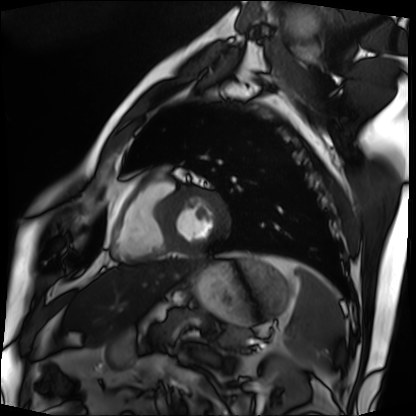
<record>
<modality>cardiac MRI</modality>
<cohort>patient</cohort>
</record>